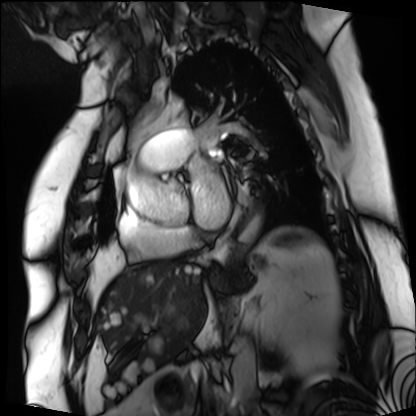
Cardiac MRI. Subject group: patient.